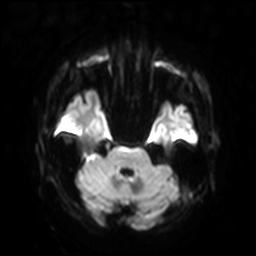
{
  "modality": {
    "type": "brain MRI",
    "field_strength": "3T"
  },
  "study_topic": "ring-enhancing brain masses"
}